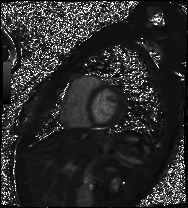
Case:
- modality · cardiac MRI
- subject group · patient